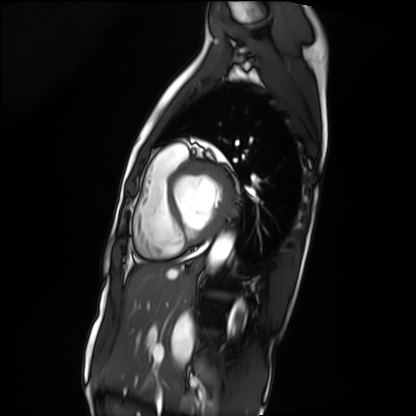
Q: What kind of scan is this?
A: Cardiac MRI.
Subject group: patient.